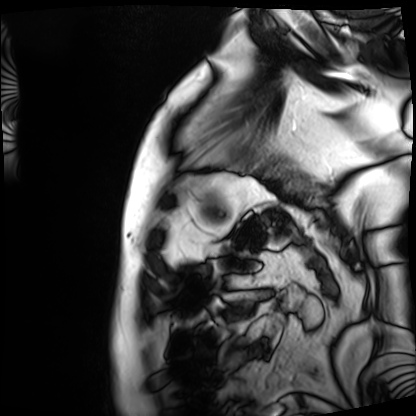
Cardiac MRI.
Subject group: patient.